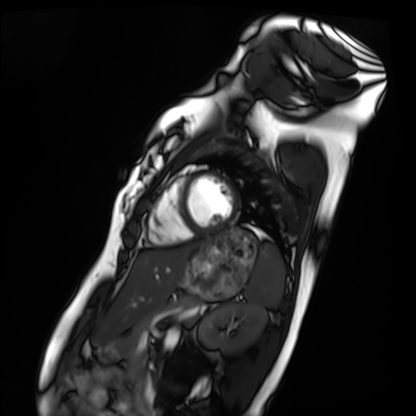
{
  "modality": "cardiac MRI",
  "cohort": "healthy volunteer"
}